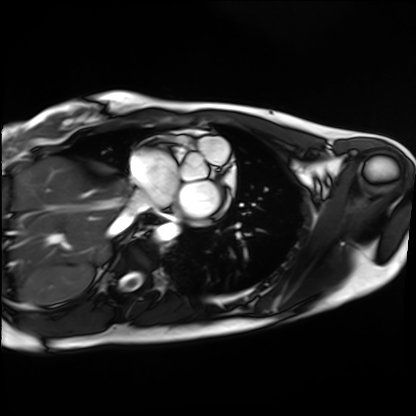
Q: What kind of scan is this?
A: Cardiac MRI.
Subject group: healthy volunteer.